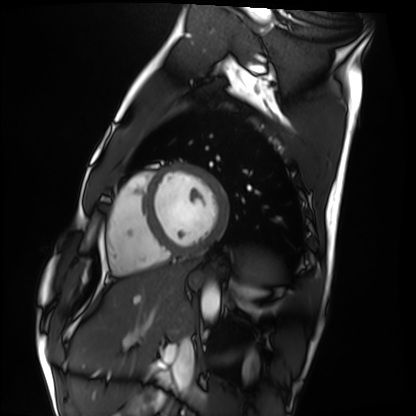
modality = cardiac MRI, subject group = healthy volunteer.